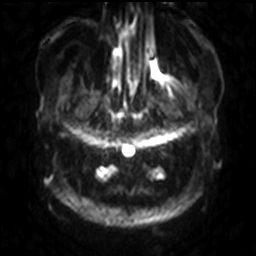
3 Tesla brain MRI.
Series: diffusion-weighted imaging with SENSE (WIP).
Study: ring-enhancing brain masses.